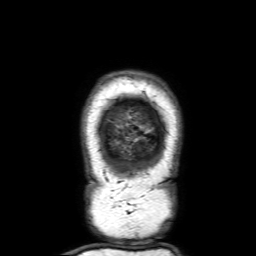
Q: What kind of scan is this?
A: 3 Tesla brain MRI.
Q: Series?
A: 3D T1-weighted with SENSE.
Study: ring-enhancing brain masses.